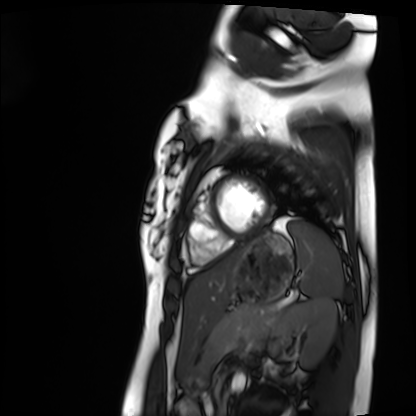
modality: cardiac MRI | subject group: healthy volunteer.